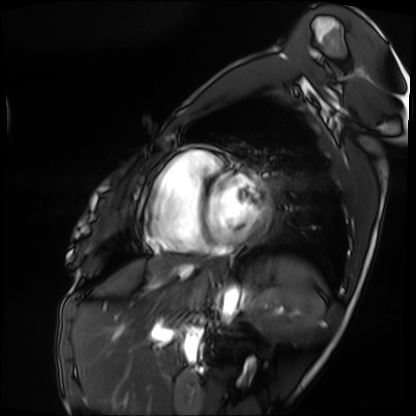
modality = cardiac MRI; subject group = patient.